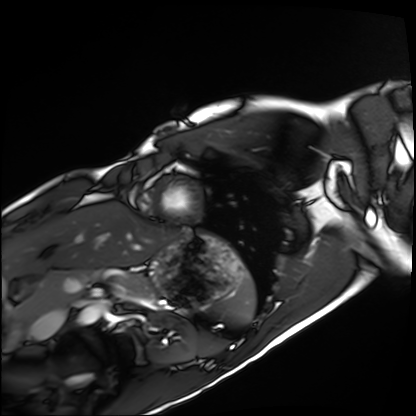
* modality · cardiac MRI
* subject group · healthy volunteer